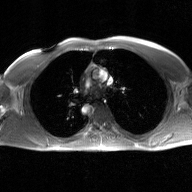
<record>
  <modality>
    <type>2D phase-contrast cine MRI</type>
    <region>ascending aorta</region>
    <reconstruction>GAN super-resolution reconstruction</reconstruction>
  </modality>
</record>